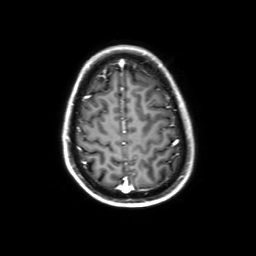
Case summary: 3 Tesla brain MRI. Study: ring-enhancing brain masses.